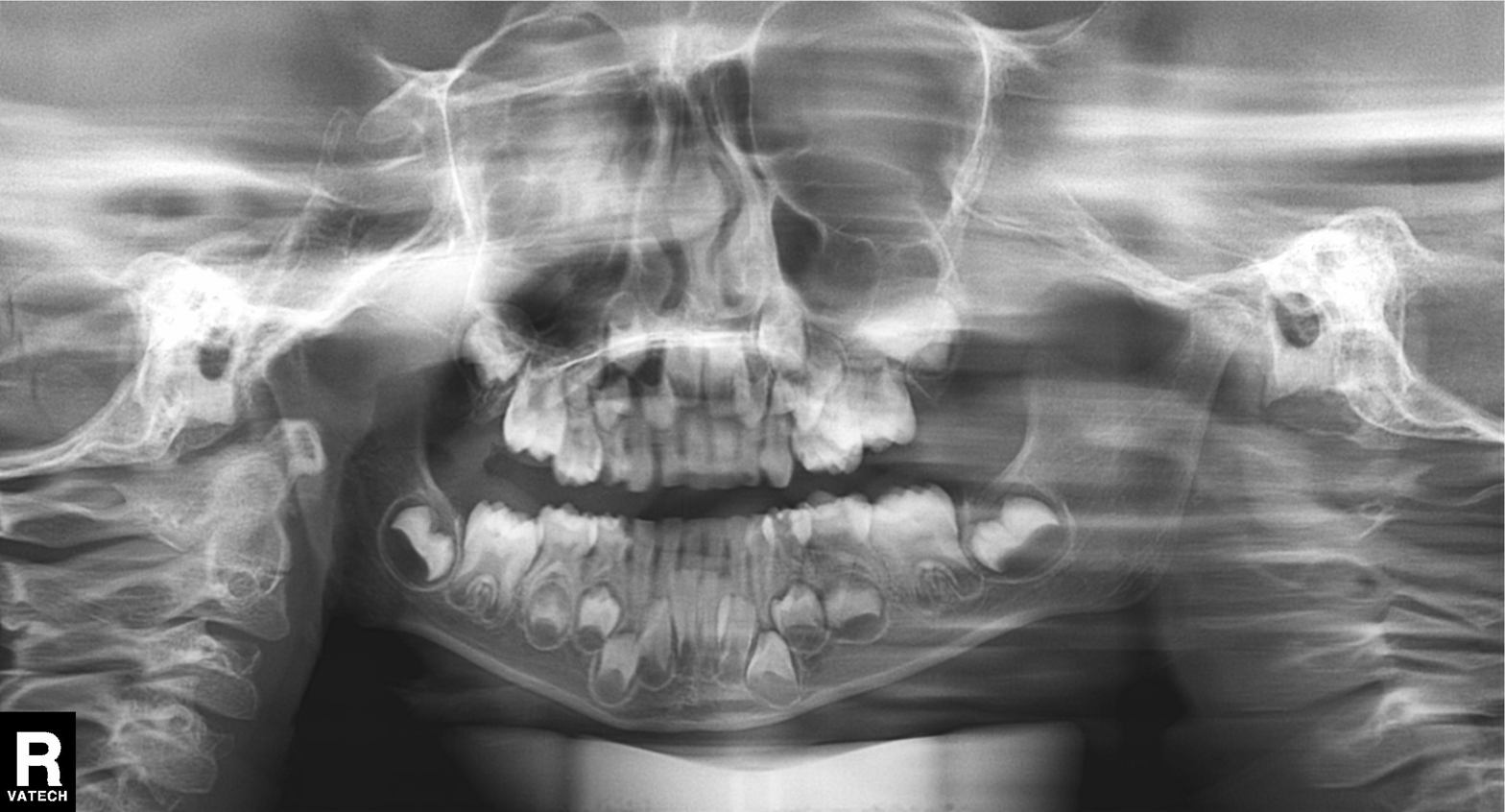
modality: panoramic dental radiograph (orthopantomogram); finding: alveolar bone loss.